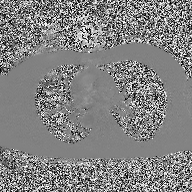
2D phase-contrast cine MRI of the ascending aorta, high-resolution GRAPPA acquisition.